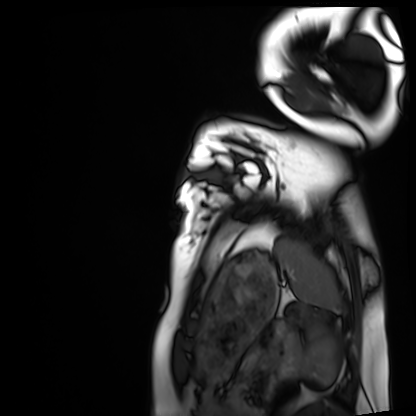
Q: What kind of scan is this?
A: Cardiac MRI.
Subject group: healthy volunteer.